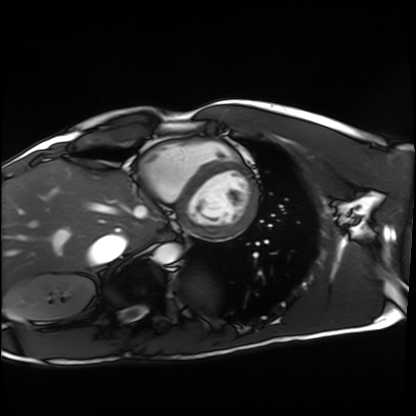
Clinical context:
Cardiac MRI. Subject group: healthy volunteer.